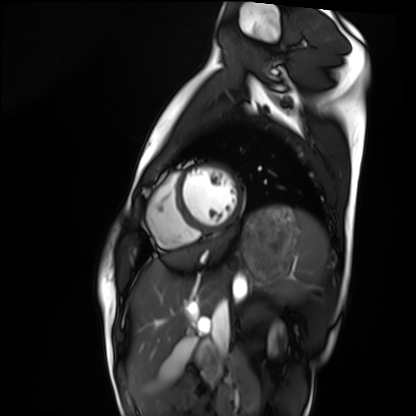
Cardiac MRI. Subject group: healthy volunteer.